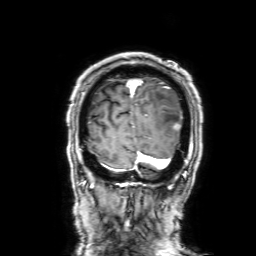
3 Tesla brain MRI. Series: 3D T1-weighted with SENSE. Study: ring-enhancing brain masses.